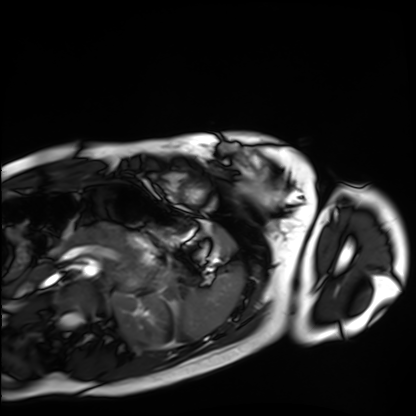
Summary: Cardiac MRI. Subject group: healthy volunteer.